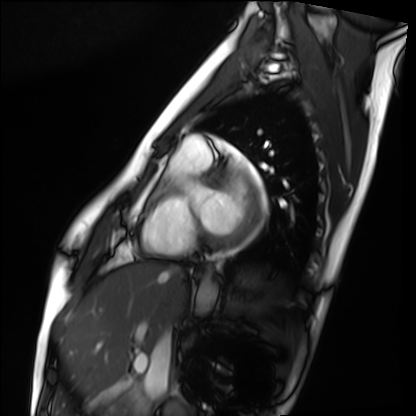
Case summary:
Cardiac MRI. Subject group: healthy volunteer.